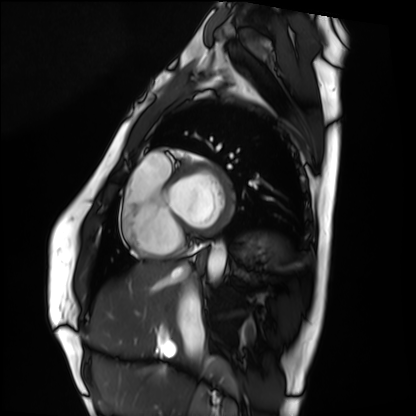
<study>
<modality>cardiac MRI</modality>
<cohort>healthy volunteer</cohort>
</study>